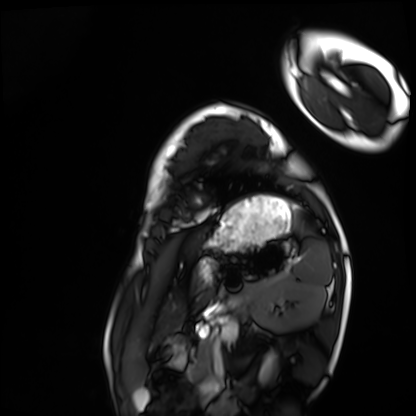
Cardiac MRI. Subject group: healthy volunteer.